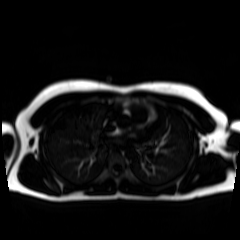
Q: What kind of scan is this?
A: Chemical-shift-encoded cardiac MRI.